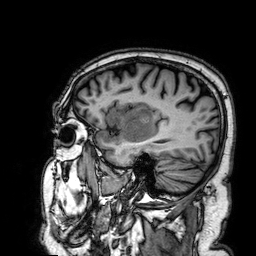
Q: What kind of scan is this?
A: 3 Tesla brain MRI.
Q: Series?
A: 3D T1-weighted.
Study: ring-enhancing brain masses.